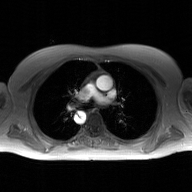
modality: 2D phase-contrast cine MRI of the ascending aorta, GAN super-resolution reconstruction.